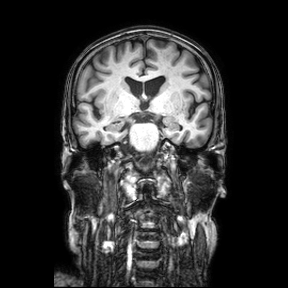
{
  "modality": {
    "type": "brain MRI",
    "field_strength": "3T"
  },
  "series": "coronal",
  "study_topic": "ring-enhancing brain masses"
}